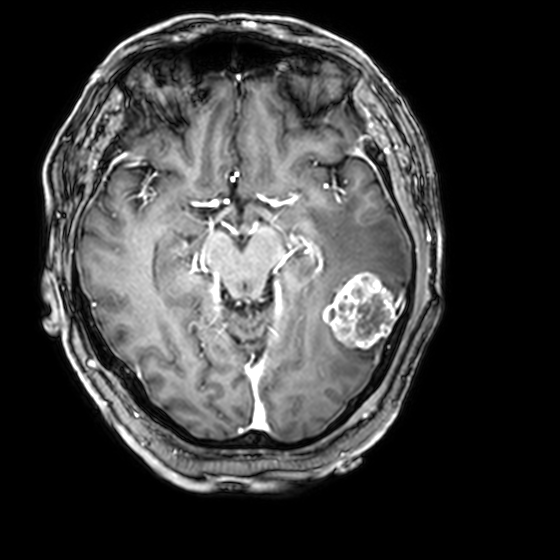
3 Tesla brain MRI. Series: 3D T1-weighted with CLEAR. Study: ring-enhancing brain masses.